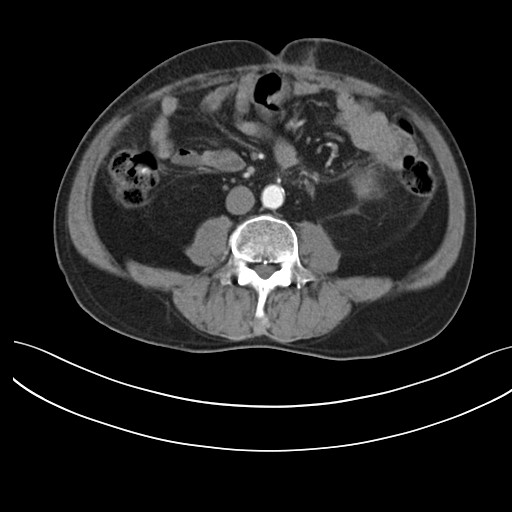
Case summary: Multiphase abdominal CT, liver, arterial phase. Patient: male, age 56. History: prior chemotherapy.